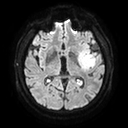
3 Tesla brain MRI. Series: diffusion tensor imaging (medium iso). Study: ring-enhancing brain masses.